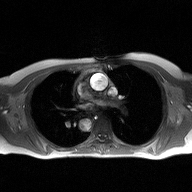
Clinical context:
2D phase-contrast cine MRI of the ascending aorta, high-resolution GRAPPA acquisition.